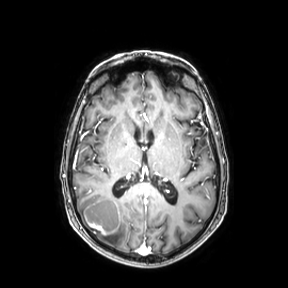
3 Tesla brain MRI. Study: ring-enhancing brain masses.